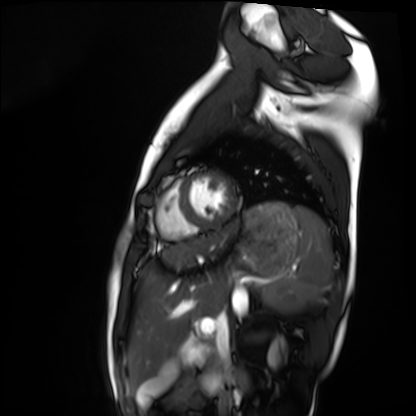
Summary:
Cardiac MRI. Subject group: healthy volunteer.